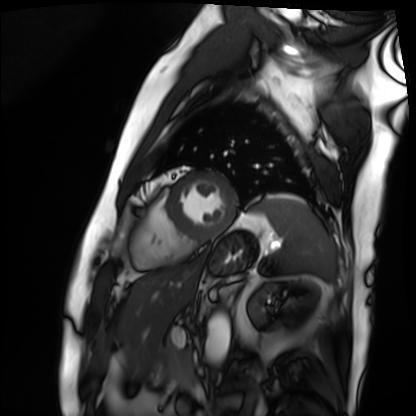
modality: cardiac MRI
subject group: patient